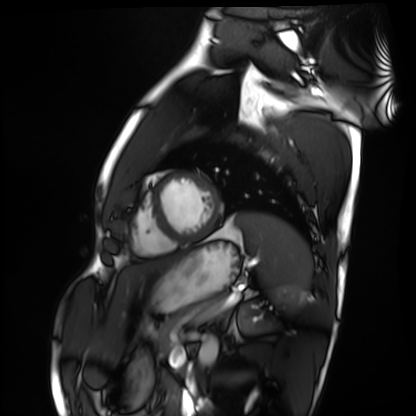
Case summary: Cardiac MRI. Subject group: healthy volunteer.